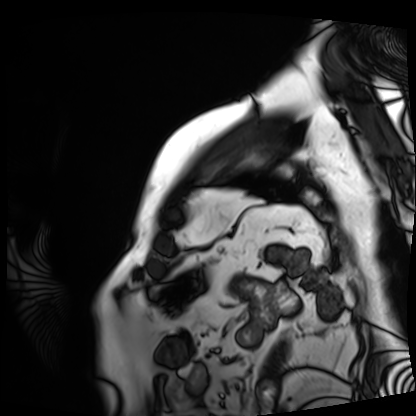
Cardiac MRI. Subject group: patient.